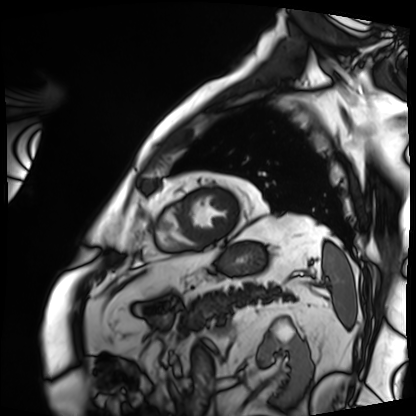
modality: cardiac MRI, subject group: patient.